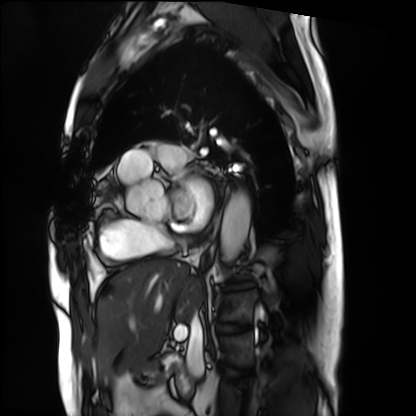
modality: cardiac MRI
subject group: patient